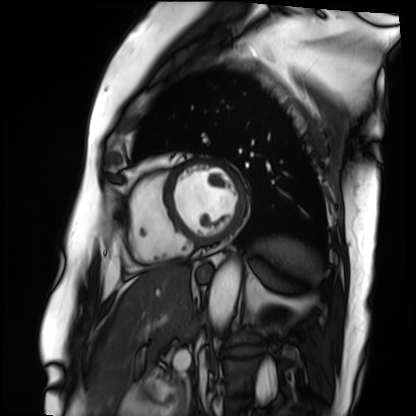
Q: What kind of scan is this?
A: Cardiac MRI.
Subject group: patient.